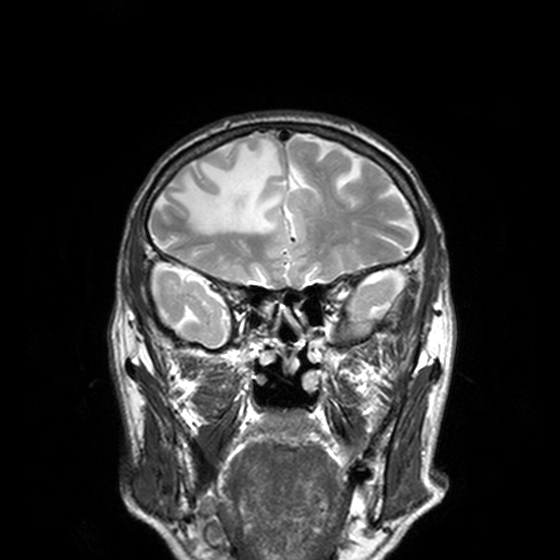
Clinical context:
3 Tesla brain MRI. Series: T2-weighted turbo spin echo, 3 mm. Study: ring-enhancing brain masses.